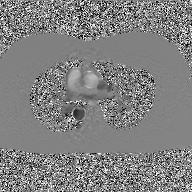
Summary:
2D phase-contrast cine MRI of the ascending aorta, GAN super-resolution reconstruction.